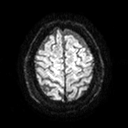
modality=3 Tesla brain MRI; study=ring-enhancing brain masses.